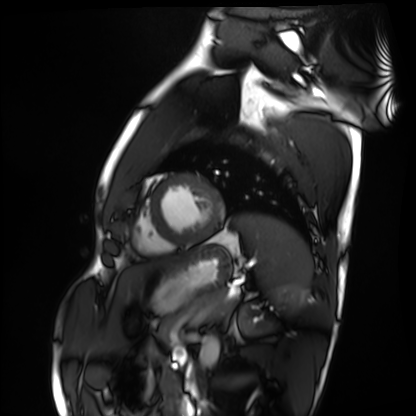
<case>
<modality>cardiac MRI</modality>
<cohort>healthy volunteer</cohort>
</case>